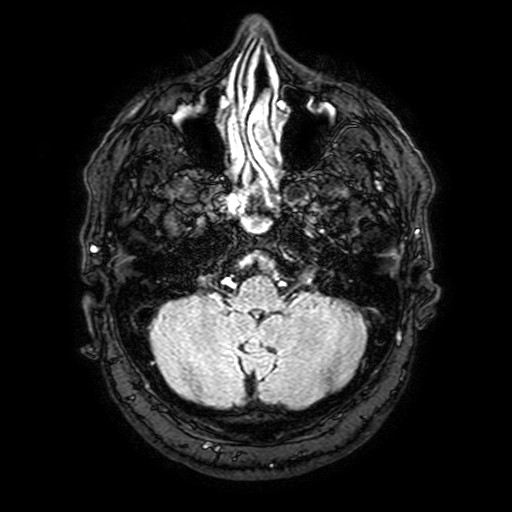
| field | value |
|---|---|
| modality | 3 Tesla brain MRI |
| study | ring-enhancing brain masses |